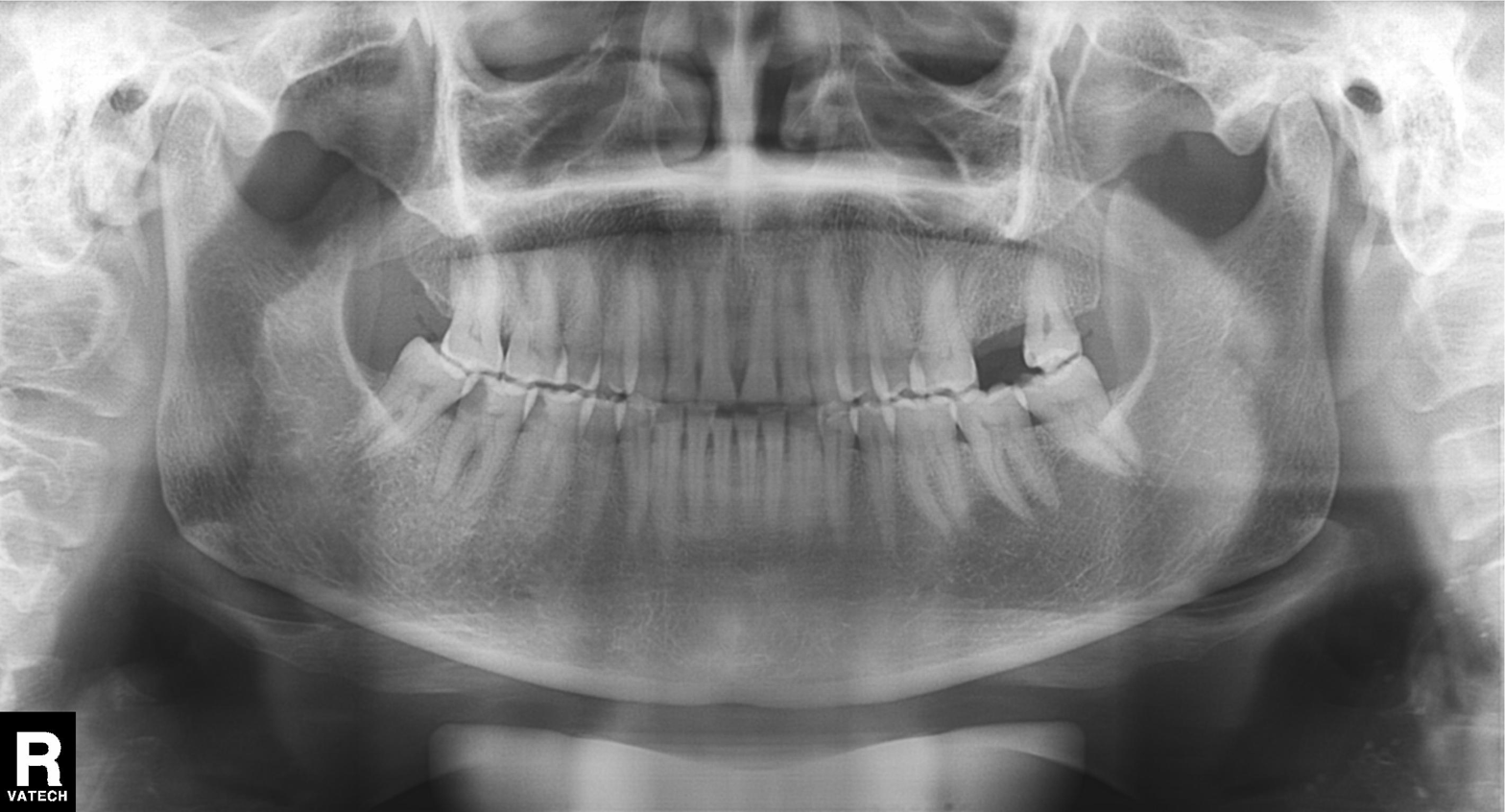
{"modality": "panoramic dental radiograph (orthopantomogram)", "finding": "dental caries (cavities)"}